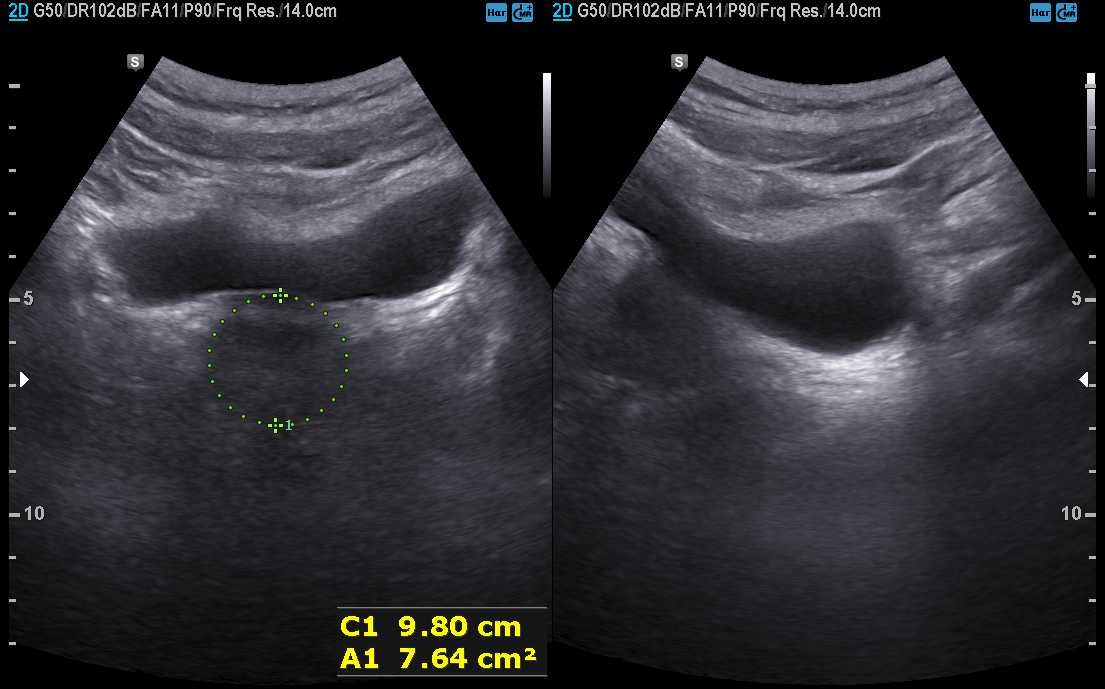
Summary:
Genitourinary ultrasound.